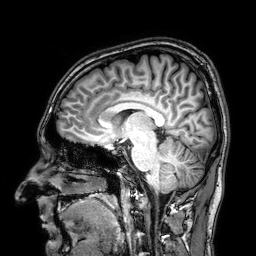
Summary:
3 Tesla brain MRI. Study: ring-enhancing brain masses.